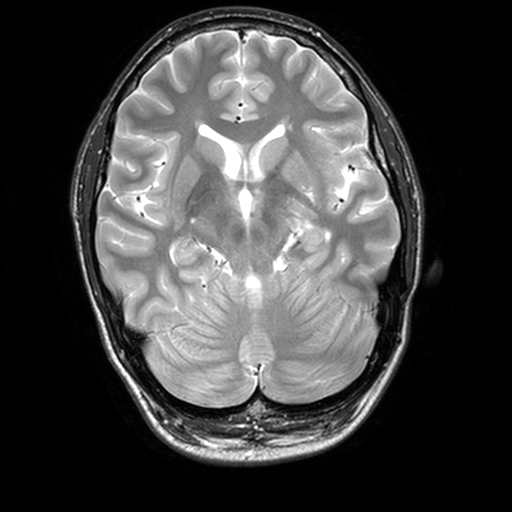
3 Tesla brain MRI. Series: T2-weighted turbo spin echo, 3 mm. Study: ring-enhancing brain masses.